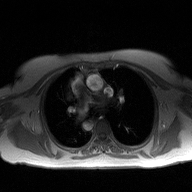
modality — 2D phase-contrast cine MRI of the ascending aorta.